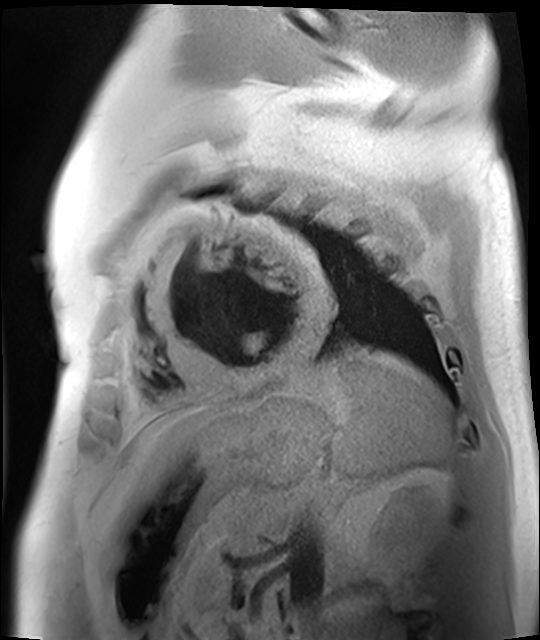
modality: cardiac MR image of the myocardium; subject cohort: cardiac patient.